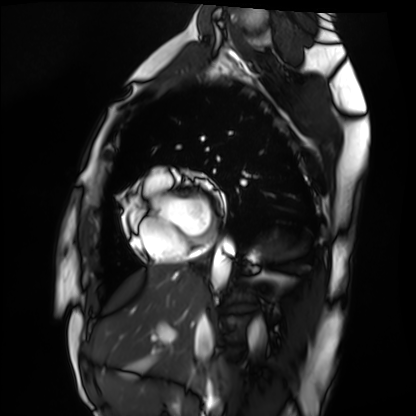
Cardiac MRI.
Subject group: healthy volunteer.